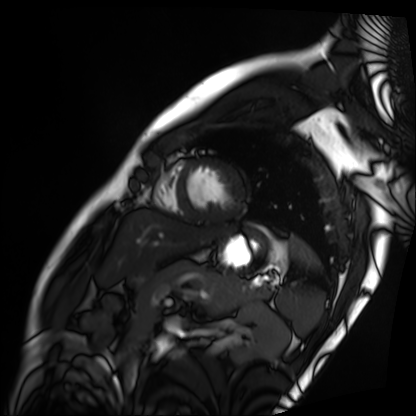
Summary: Cardiac MRI. Subject group: patient.